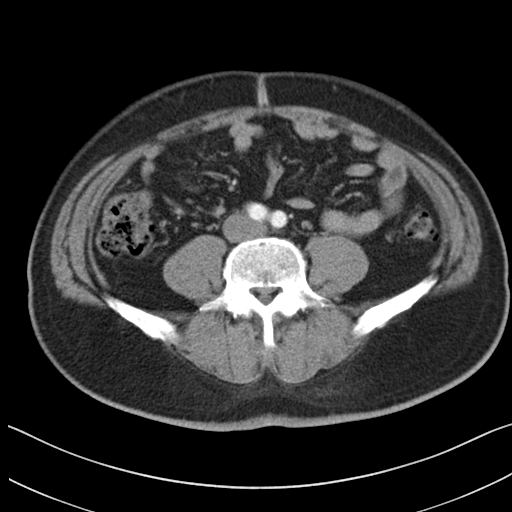
| field | value |
|---|---|
| modality | multiphase abdominal CT, liver, arterial phase |
| patient | male, age 48 |
| history | viral hepatitis |